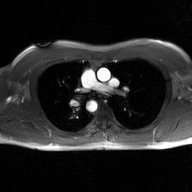
2D phase-contrast cine MRI of the ascending aorta, GAN super-resolution reconstruction.